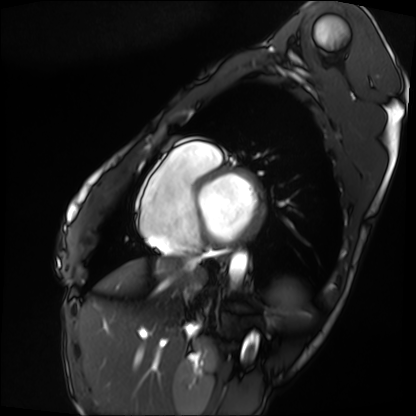
  modality: cardiac MRI
  cohort: patient